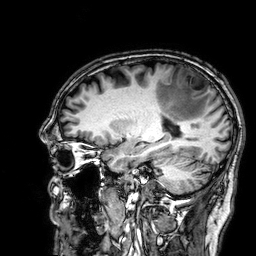
3 Tesla brain MRI.
Series: 3D T1-weighted.
Study: ring-enhancing brain masses.